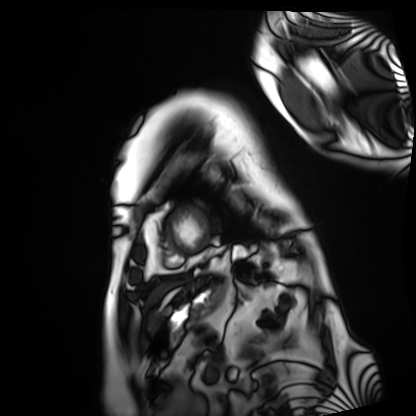
Cardiac MRI. Subject group: patient.